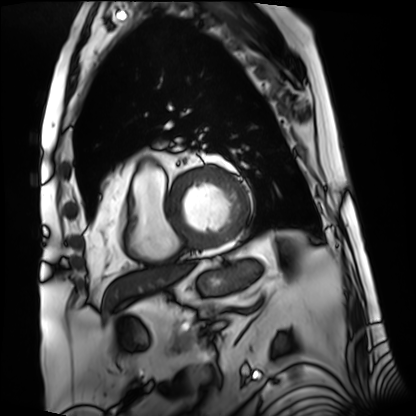
Cardiac MRI.
Subject group: patient.